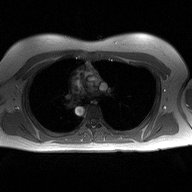
modality: 2D phase-contrast cine MRI of the ascending aorta.